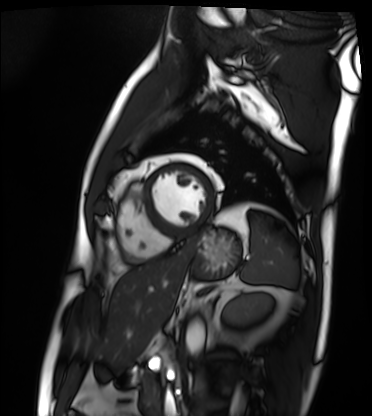
Summary: Cardiac MRI. Subject group: patient.